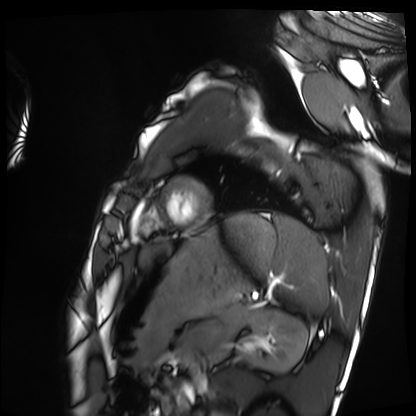
Cardiac MRI. Subject group: healthy volunteer.